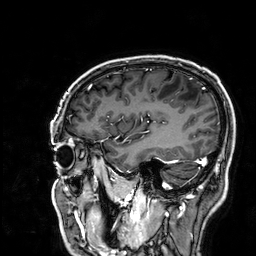
3 Tesla brain MRI.
Series: 3D T1-weighted.
Study: ring-enhancing brain masses.